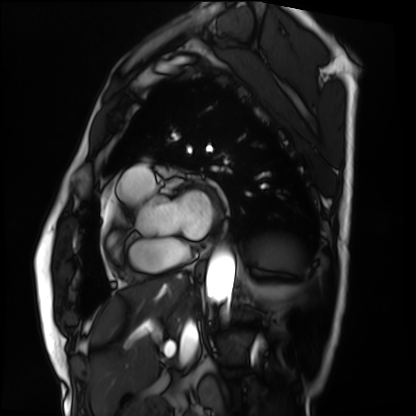
Q: What kind of scan is this?
A: Cardiac MRI.
Subject group: patient.